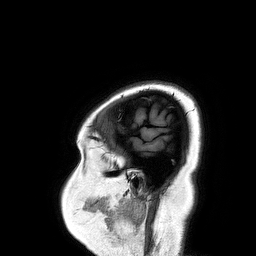
3 Tesla brain MRI. Series: 3D T1-weighted turbo field echo. Study: ring-enhancing brain masses.